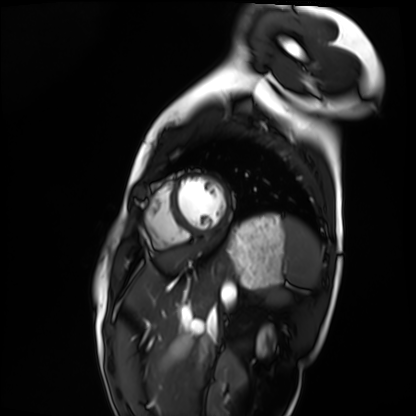
Clinical context:
Cardiac MRI. Subject group: healthy volunteer.